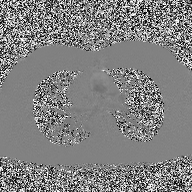
modality=2D phase-contrast cine MRI of the ascending aorta.